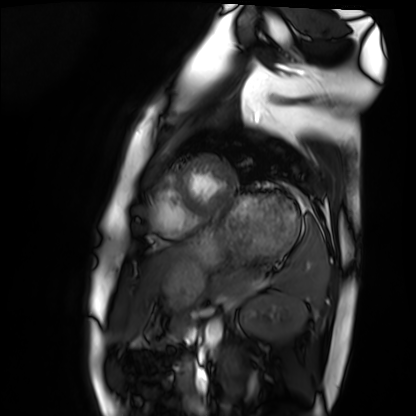
modality = cardiac MRI | subject group = healthy volunteer.